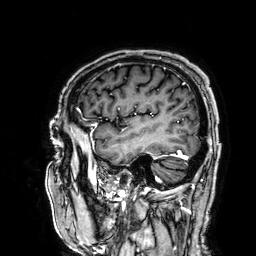
3 Tesla brain MRI.
Series: 3D T1-weighted.
Study: ring-enhancing brain masses.